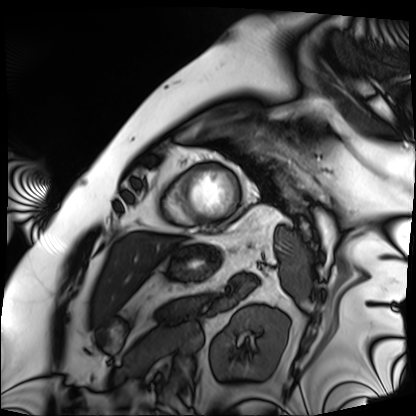
Case:
– modality — cardiac MRI
– subject group — patient